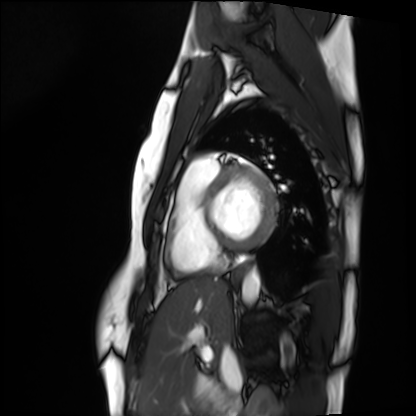
Summary: Cardiac MRI. Subject group: healthy volunteer.